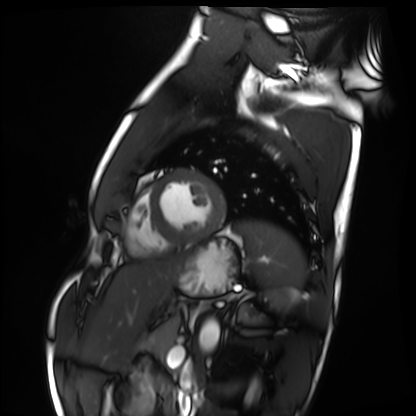
Q: What kind of scan is this?
A: Cardiac MRI.
Subject group: healthy volunteer.